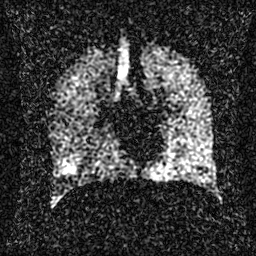
Hyperpolarized 129Xe ventilation MRI of the lungs. SNR level 2 of 8 (the deposit holds this scan as its native image and as seven SNR-degraded versions).